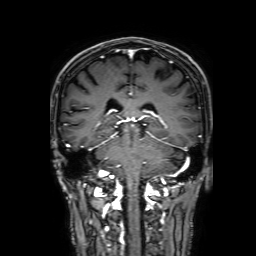
Q: What kind of scan is this?
A: 3 Tesla brain MRI.
Q: Series?
A: 3D T1-weighted with SENSE.
Study: ring-enhancing brain masses.